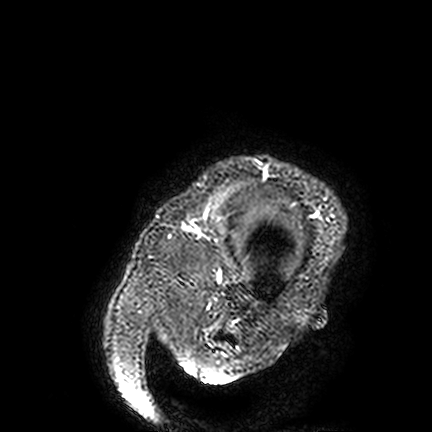
Q: What kind of scan is this?
A: 3 Tesla brain MRI.
Q: Series?
A: FLAIR VISTA.
Study: ring-enhancing brain masses.